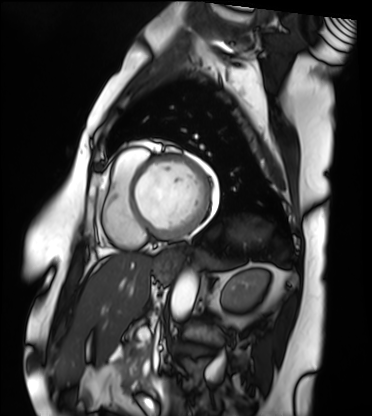
Cardiac MRI.
Subject group: patient.